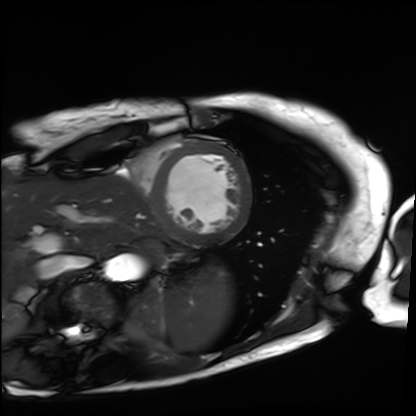
Case:
– modality: cardiac MRI
– subject group: patient